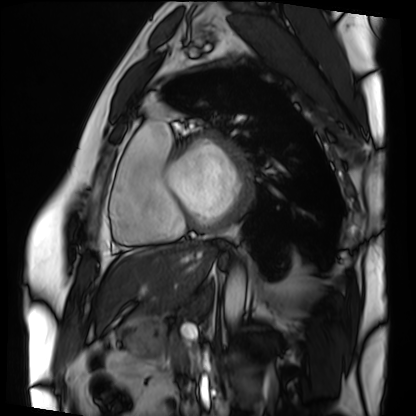
modality = cardiac MRI; subject group = patient.